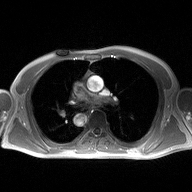
2D phase-contrast cine MRI of the ascending aorta, high-resolution GRAPPA acquisition.